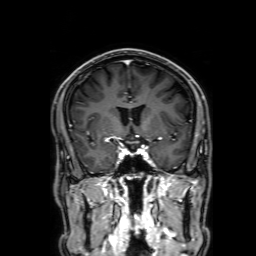
3 Tesla brain MRI. Study: ring-enhancing brain masses.